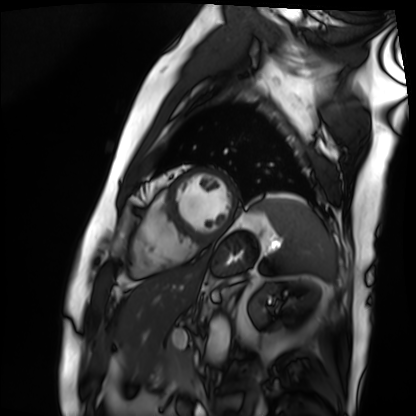
Cardiac MRI. Subject group: patient.